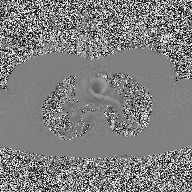
Q: What kind of scan is this?
A: 2D phase-contrast cine MRI of the ascending aorta.